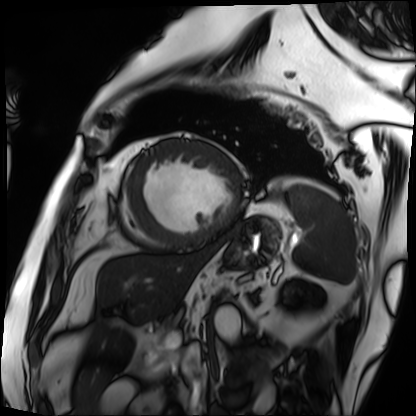
– modality — cardiac MRI
– subject group — patient